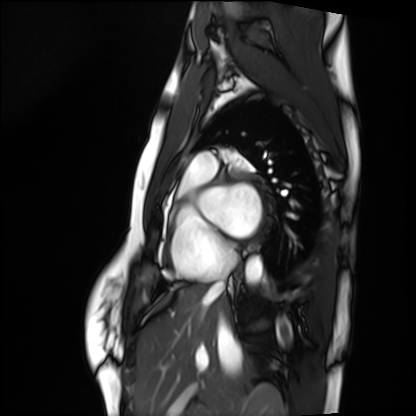
modality: cardiac MRI | subject group: healthy volunteer.